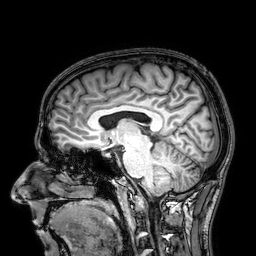
Case summary: 3 Tesla brain MRI. Series: 3D T1-weighted. Study: ring-enhancing brain masses.